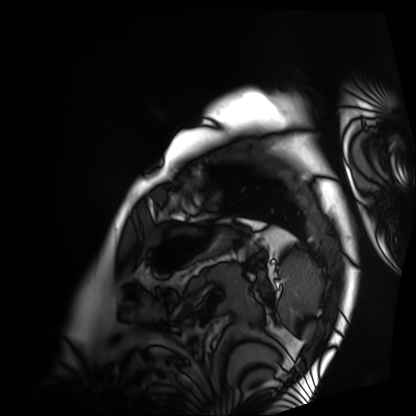
| field | value |
|---|---|
| modality | cardiac MRI |
| subject group | patient |